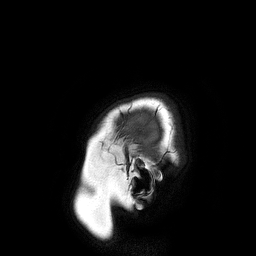
Case summary:
3 Tesla brain MRI. Series: 3D T1-weighted turbo field echo. Study: ring-enhancing brain masses.